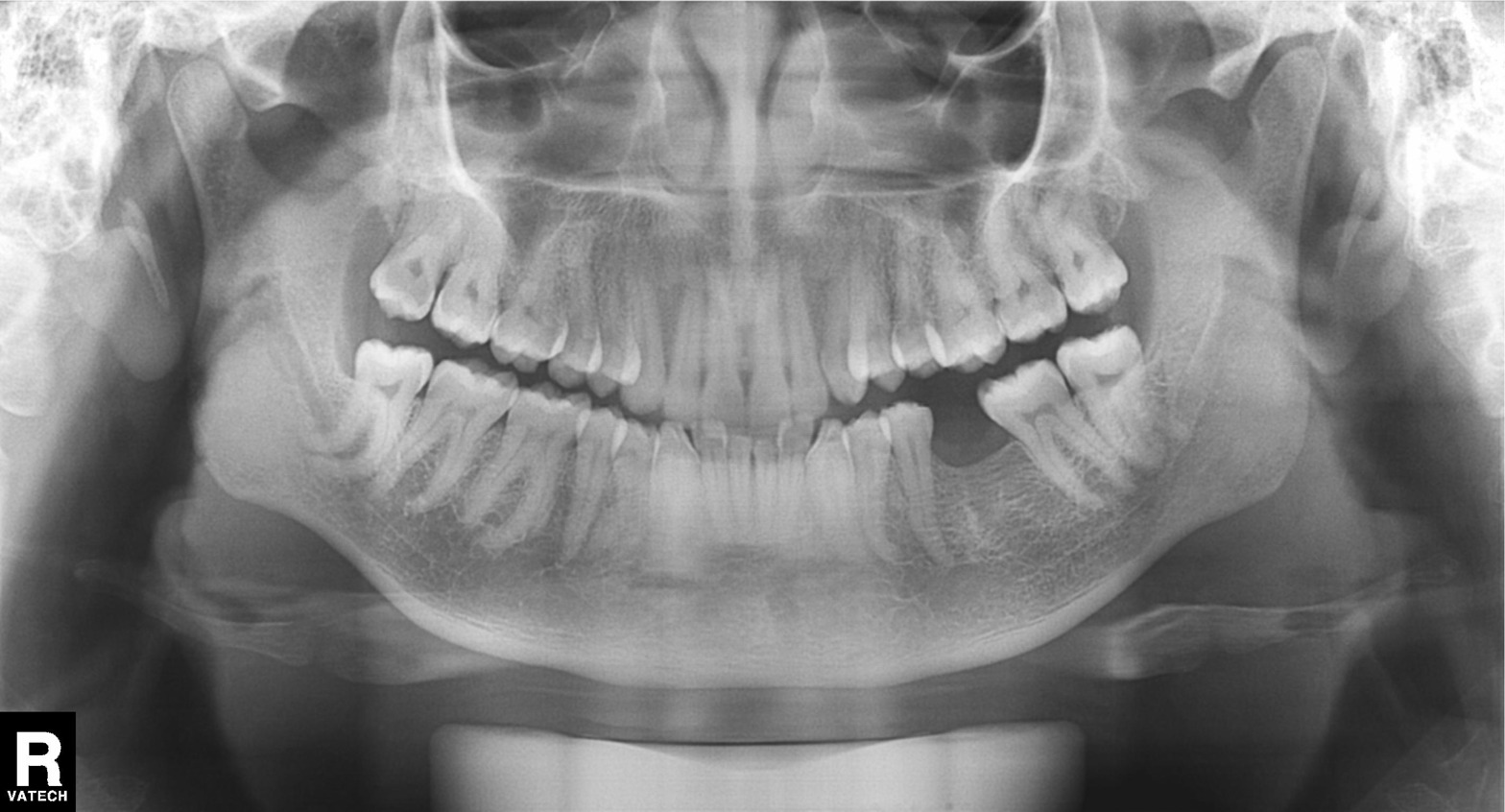
Summary:
Panoramic dental radiograph (orthopantomogram).
Conclusion:
Alveolar bone loss.